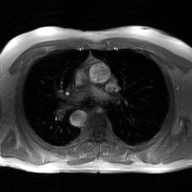
2D phase-contrast cine MRI of the ascending aorta, GAN super-resolution reconstruction.